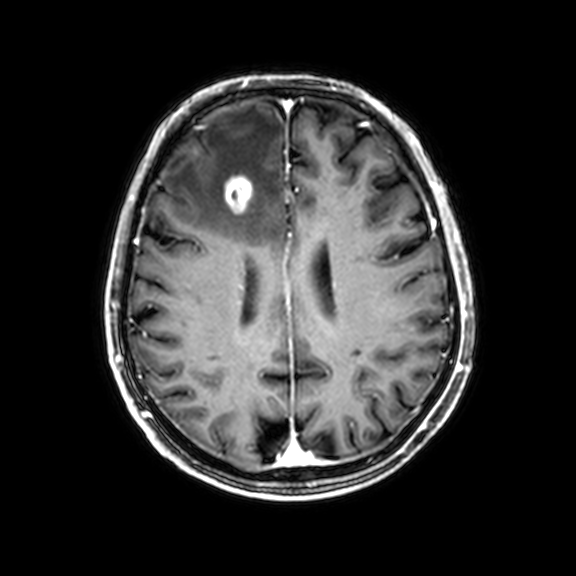
Clinical context:
3 Tesla brain MRI. Series: 3D T1-weighted with CLEAR. Study: ring-enhancing brain masses.